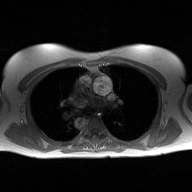
Case summary:
2D phase-contrast cine MRI of the ascending aorta, high-resolution GRAPPA acquisition.